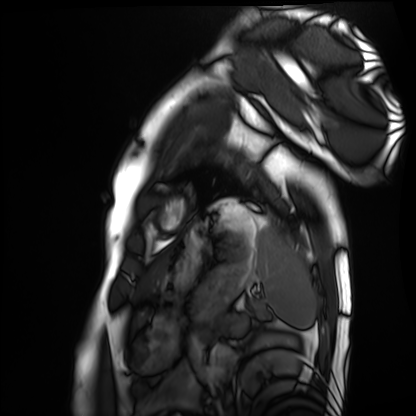
* modality — cardiac MRI
* subject group — healthy volunteer